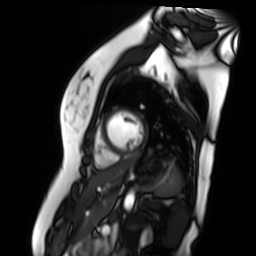
Cardiac MR image of the myocardium. Subject cohort: healthy volunteer.